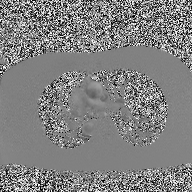
Case:
* modality · 2D phase-contrast cine MRI of the ascending aorta